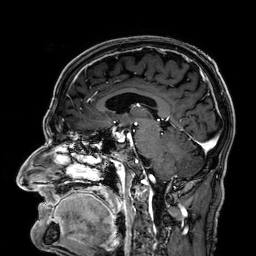
<record>
  <modality>
    <type>brain MRI</type>
    <field_strength>3T</field_strength>
  </modality>
  <series>3D T1-weighted</series>
  <study_topic>ring-enhancing brain masses</study_topic>
</record>